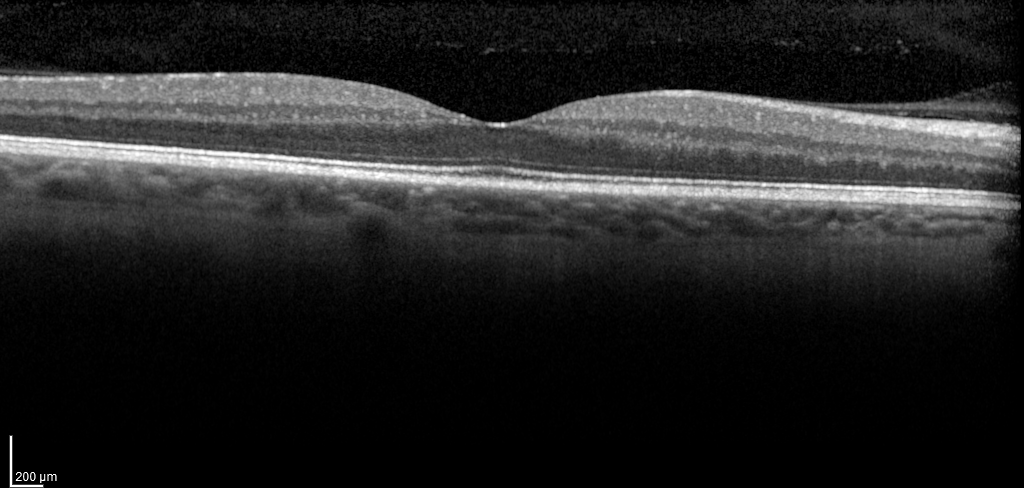
Spectral-domain optical coherence tomography (SD-OCT) of the macula. Subject: male, age 58, right eye. Cohort: diabetic subject. ETDRS-grid retinal thickness (μm): central 314, inner temporal 379, inner nasal 396, inner superior 399, inner inferior 395, outer temporal 319, outer nasal 343, outer superior 336, outer inferior 329.